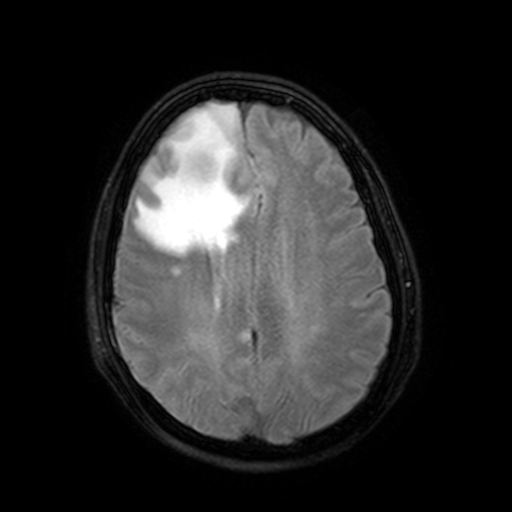
Summary:
3 Tesla brain MRI. Series: FLAIR with SPAIR, 3 mm. Study: ring-enhancing brain masses.